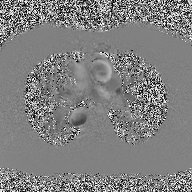
2D phase-contrast cine MRI of the ascending aorta, high-resolution GRAPPA acquisition.